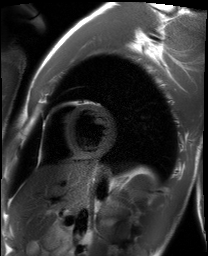
Clinical context: Cardiac MRI. Subject group: healthy volunteer.